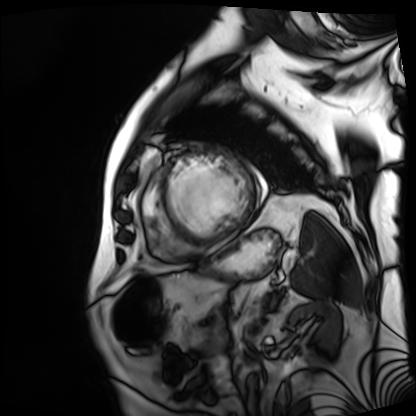
Cardiac MRI.
Subject group: patient.